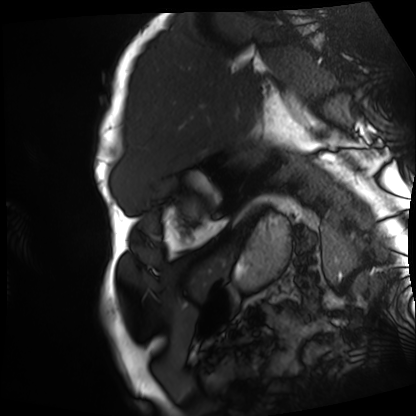
Case summary:
Cardiac MRI. Subject group: patient.